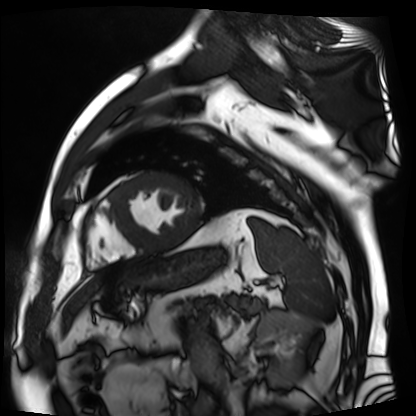
modality = cardiac MR image of the myocardium; subject cohort = cardiac patient.